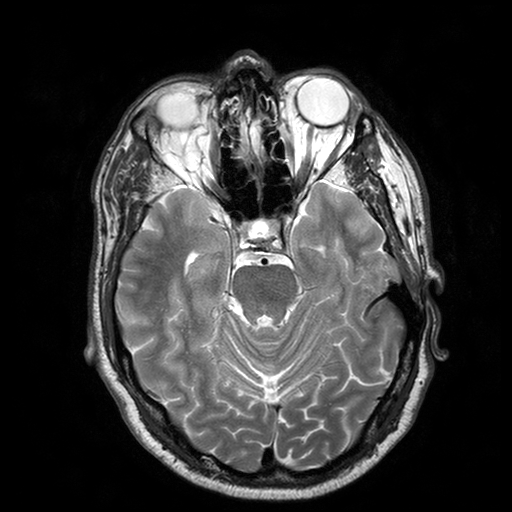
- modality — 3 Tesla brain MRI
- series — T2-weighted turbo spin echo with SENSE
- study — ring-enhancing brain masses